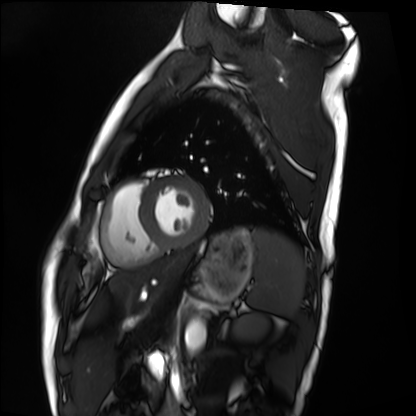
modality — cardiac MRI
subject group — healthy volunteer